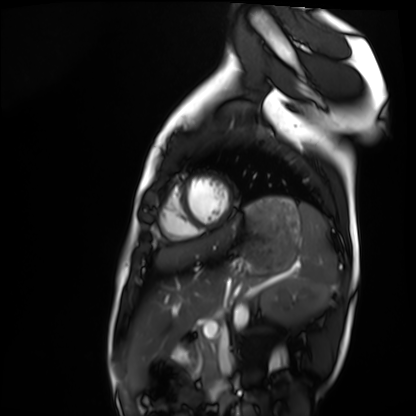
modality = cardiac MRI, subject group = healthy volunteer.